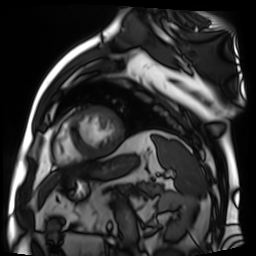
Cardiac MR image of the myocardium. Subject cohort: cardiac patient.